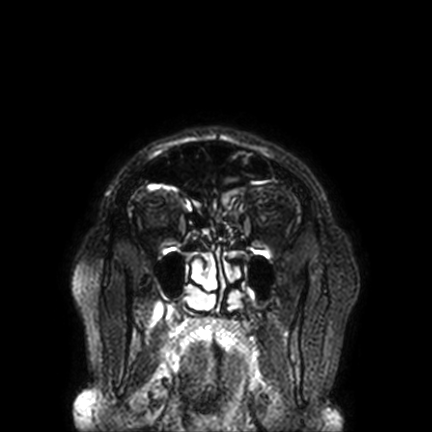
Summary: 3 Tesla brain MRI. Series: FLAIR VISTA with SENSE. Study: ring-enhancing brain masses.